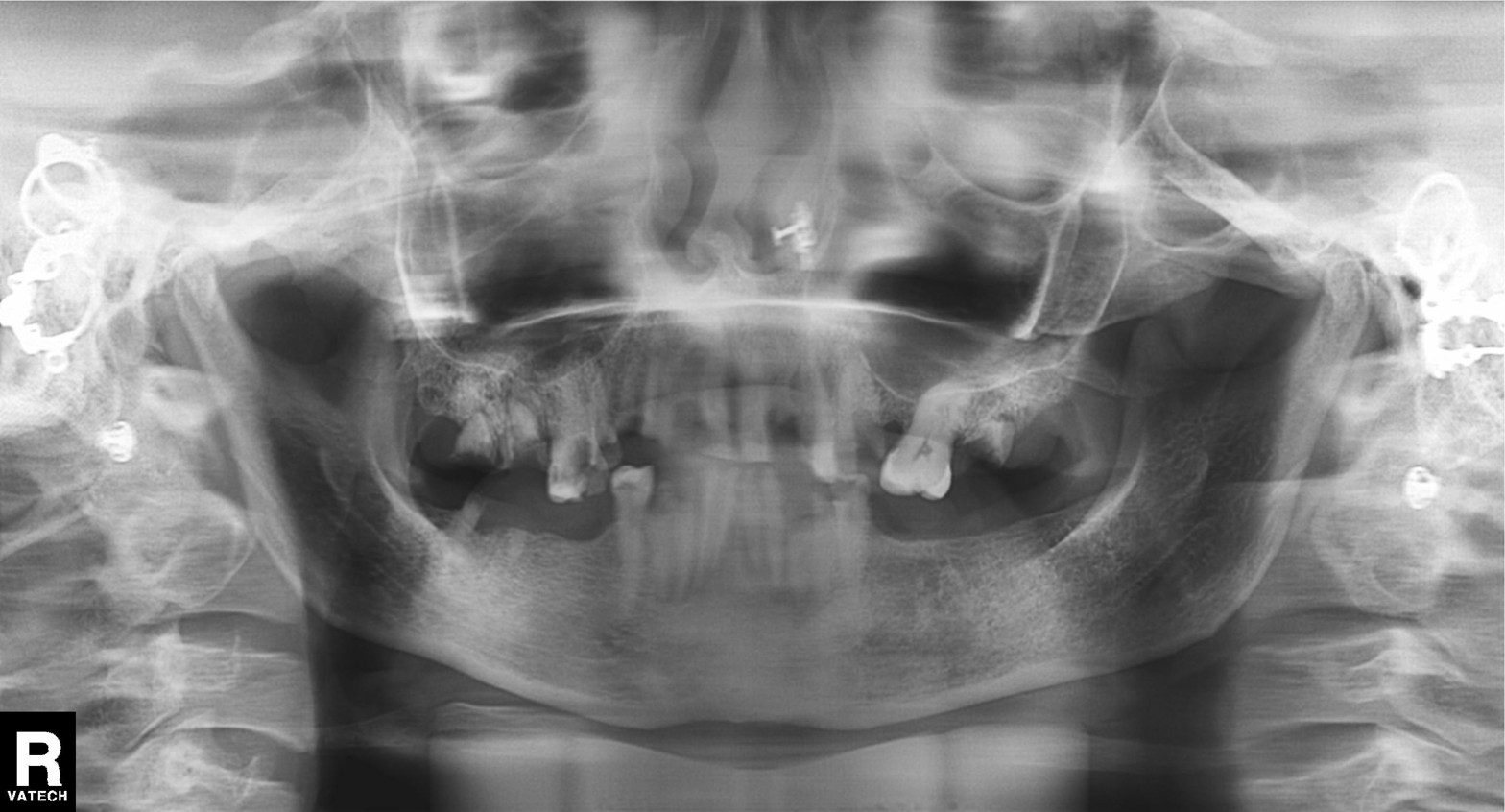
  modality: panoramic dental radiograph (orthopantomogram)
  finding: tooth impaction